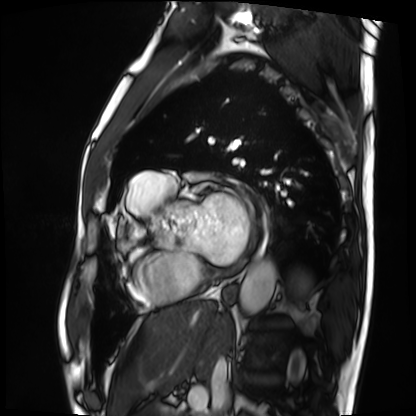
| field | value |
|---|---|
| modality | cardiac MRI |
| subject group | patient |